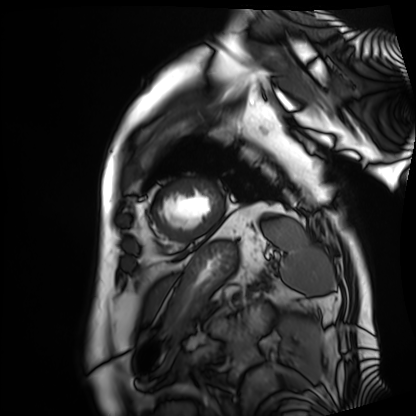
Cardiac MRI. Subject group: patient.